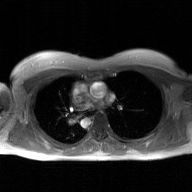
{"modality": {"type": "2D phase-contrast cine MRI", "region": "ascending aorta", "reconstruction": "GAN super-resolution reconstruction"}}